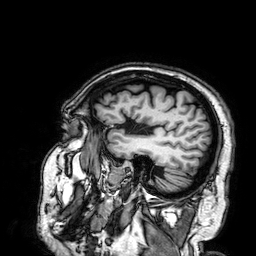
| field | value |
|---|---|
| modality | 3 Tesla brain MRI |
| series | 3D T1-weighted |
| study | ring-enhancing brain masses |